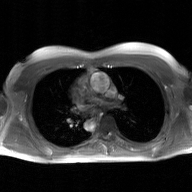
2D phase-contrast cine MRI of the ascending aorta, GAN super-resolution reconstruction.